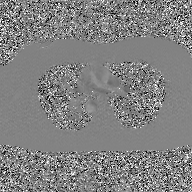
2D phase-contrast cine MRI of the ascending aorta, GAN super-resolution reconstruction.